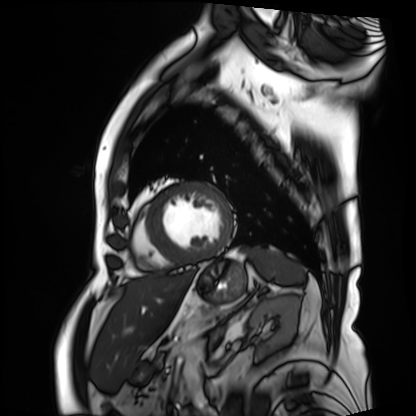
Cardiac MRI. Subject group: patient.